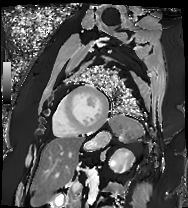
Q: What kind of scan is this?
A: Cardiac MRI.
Subject group: patient.